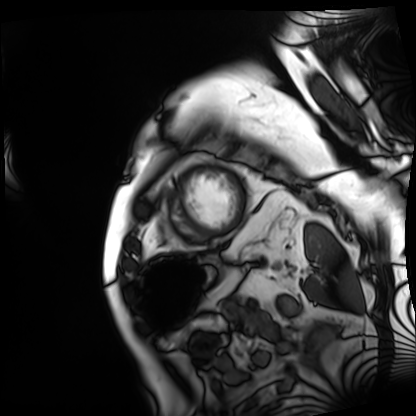
| field | value |
|---|---|
| modality | cardiac MRI |
| subject group | patient |